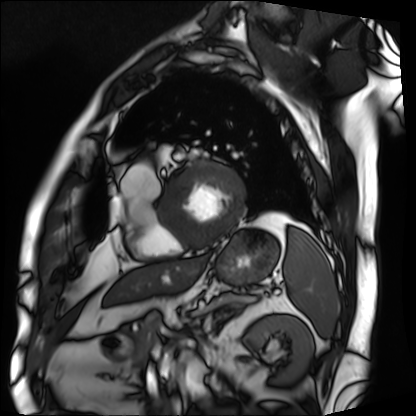
modality — cardiac MRI
subject group — patient